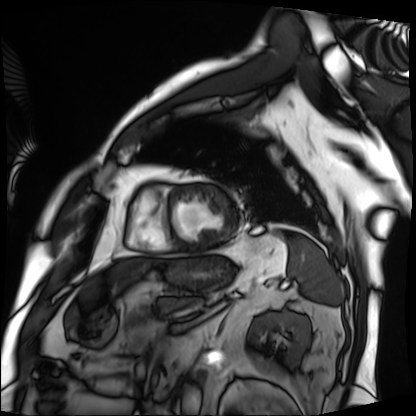
Case summary: Cardiac MRI. Subject group: patient.